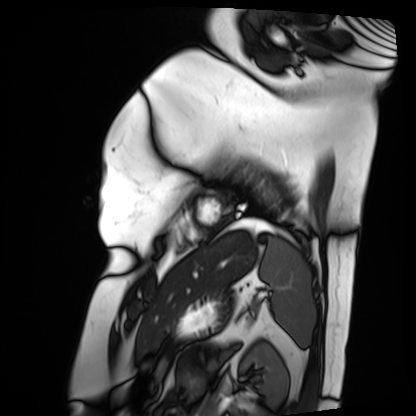
<study>
<modality>cardiac MRI</modality>
<cohort>patient</cohort>
</study>